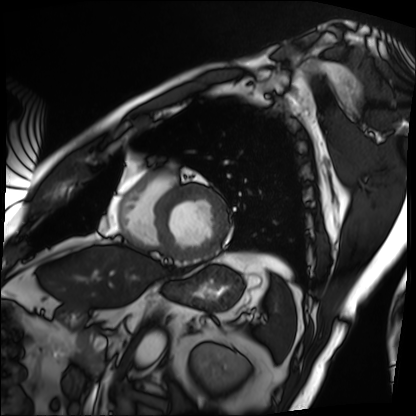
<record>
  <modality>cardiac MRI</modality>
  <cohort>patient</cohort>
</record>